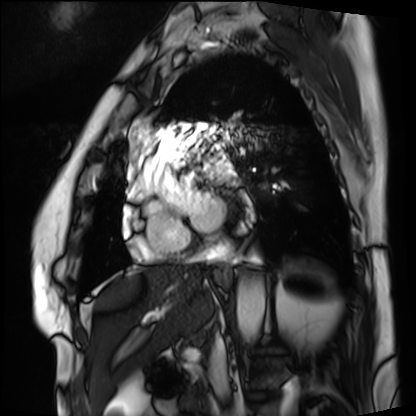
Q: What kind of scan is this?
A: Cardiac MRI.
Subject group: patient.